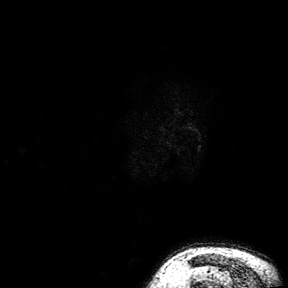
Case summary: 3 Tesla brain MRI. Series: 3D T1-weighted turbo field echo with SENSE. Study: ring-enhancing brain masses.